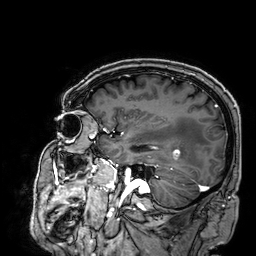
3 Tesla brain MRI.
Study: ring-enhancing brain masses.